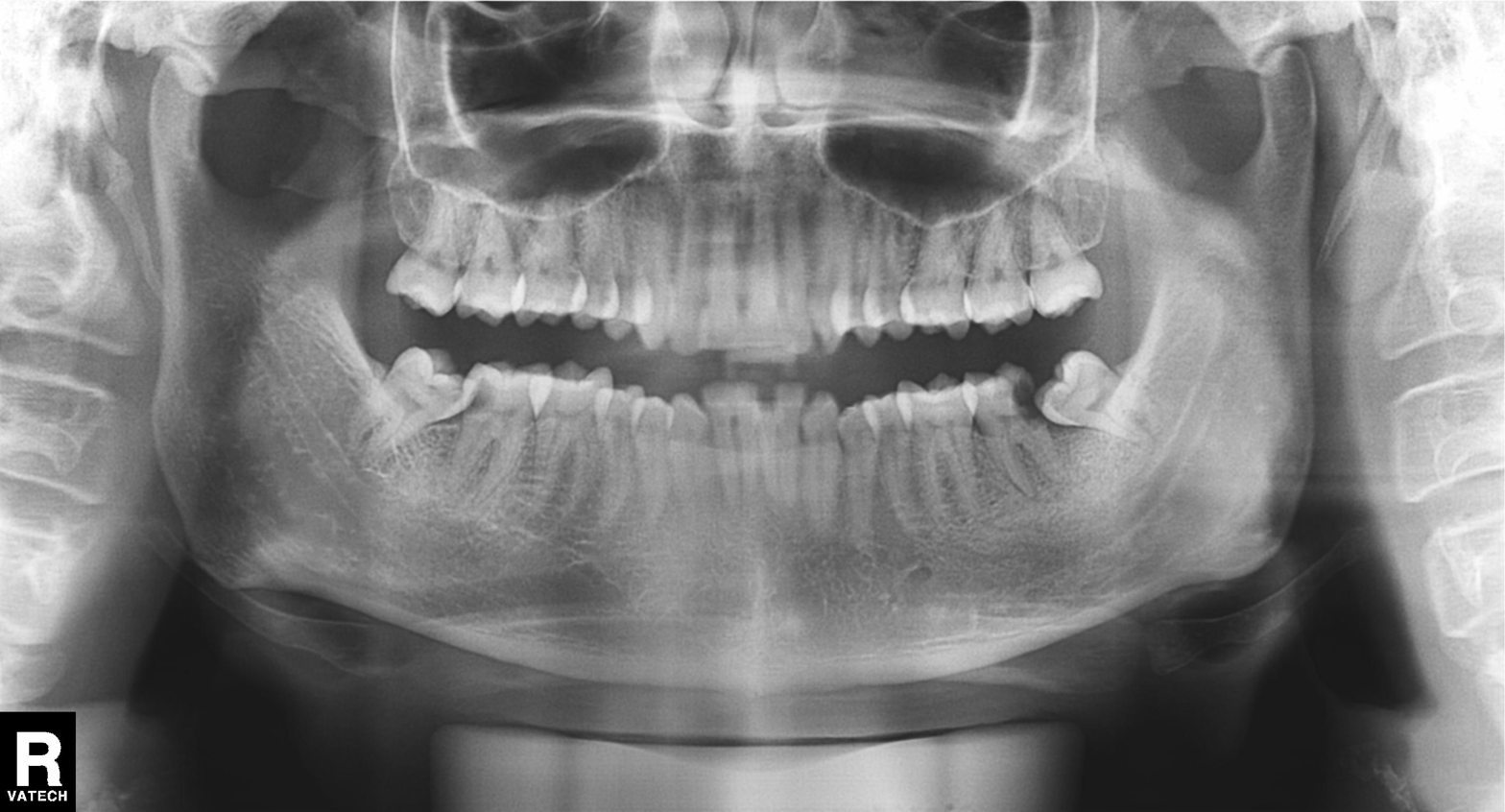
<scan>
<modality>panoramic dental radiograph (orthopantomogram)</modality>
<finding>tooth impaction</finding>
</scan>